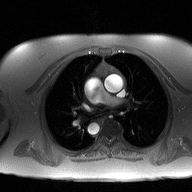
2D phase-contrast cine MRI of the ascending aorta, high-resolution GRAPPA acquisition.